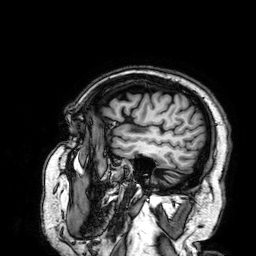
Case summary:
3 Tesla brain MRI. Series: 3D T1-weighted. Study: ring-enhancing brain masses.